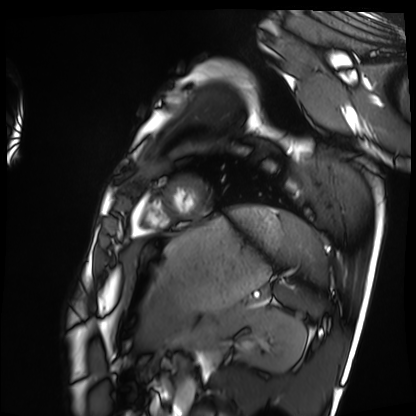
Case summary:
Cardiac MRI. Subject group: healthy volunteer.